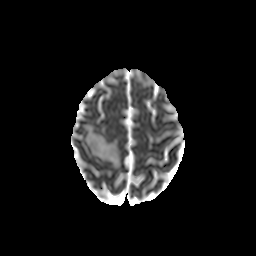
Clinical context:
3 Tesla brain MRI. Series: diffusion-weighted imaging with CLEAR. Study: ring-enhancing brain masses.